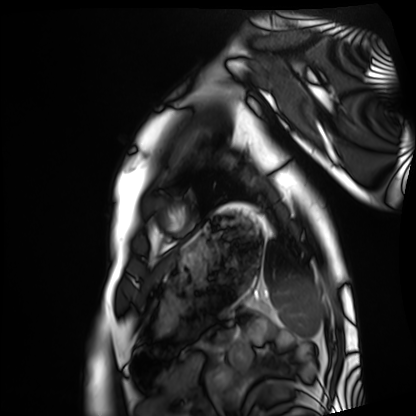
Cardiac MRI. Subject group: healthy volunteer.